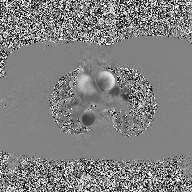
2D phase-contrast cine MRI of the ascending aorta, high-resolution GRAPPA acquisition.